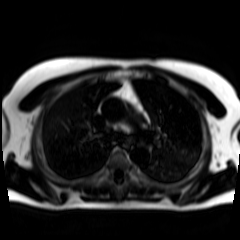
Chemical-shift-encoded cardiac MRI.